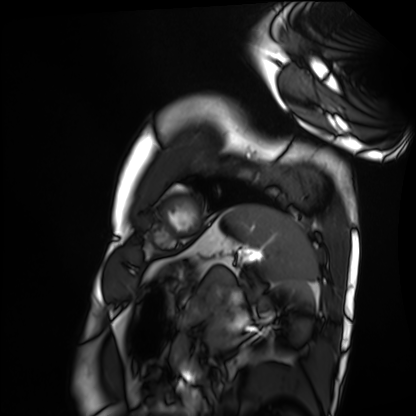
Cardiac MRI.
Subject group: healthy volunteer.